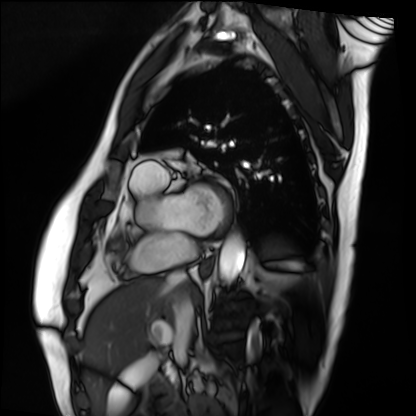
Q: What kind of scan is this?
A: Cardiac MRI.
Subject group: patient.